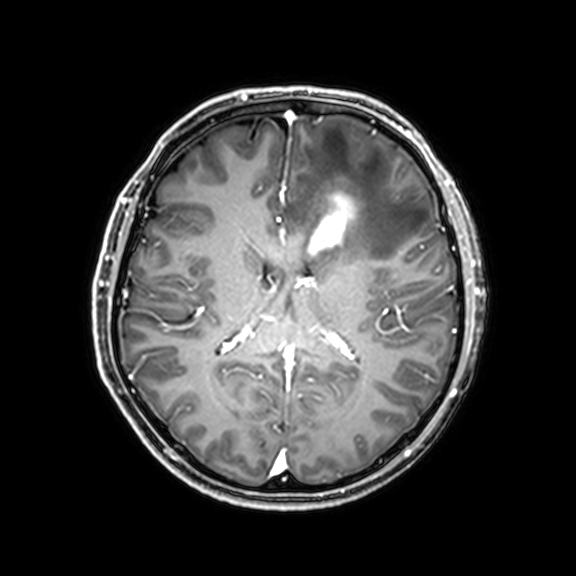
3 Tesla brain MRI.
Series: 3D T1-weighted with CLEAR.
Study: ring-enhancing brain masses.